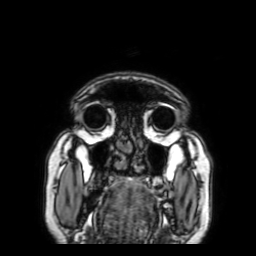
- modality — 3 Tesla brain MRI
- series — 3D T1-weighted with SENSE
- study — ring-enhancing brain masses